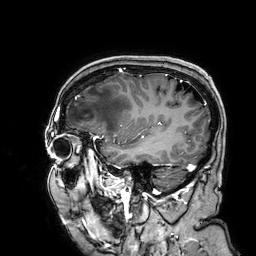
{"modality": {"type": "brain MRI", "field_strength": "3T"}, "series": "3D T1-weighted", "study_topic": "ring-enhancing brain masses"}